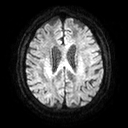
3 Tesla brain MRI. Series: diffusion tensor imaging (medium iso). Study: ring-enhancing brain masses.